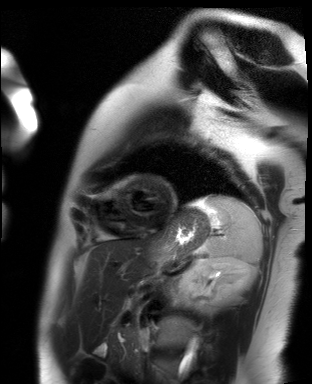
Summary:
Cardiac MR image of the myocardium. Subject cohort: healthy volunteer.